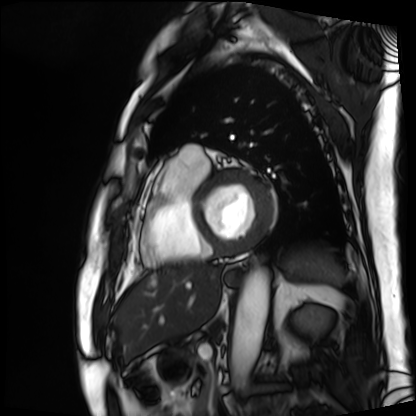
Cardiac MRI.
Subject group: patient.